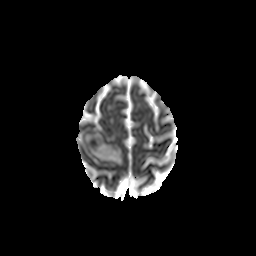
modality — 3 Tesla brain MRI; series — diffusion-weighted imaging with CLEAR; study — ring-enhancing brain masses.